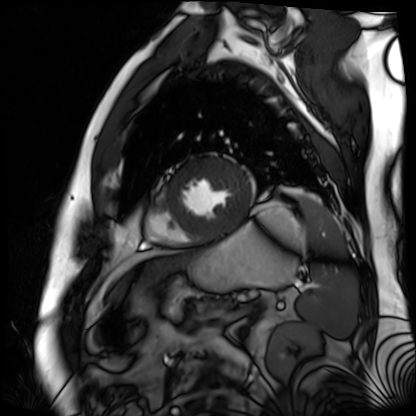
Cardiac MR image of the myocardium. Subject cohort: cardiac patient.